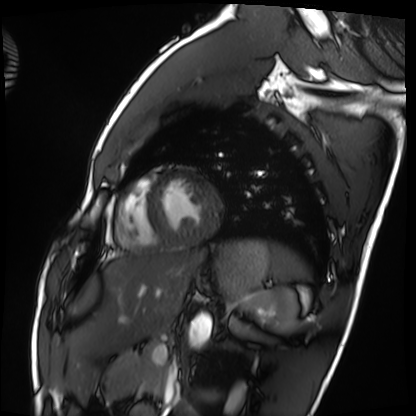
| field | value |
|---|---|
| modality | cardiac MRI |
| subject group | healthy volunteer |